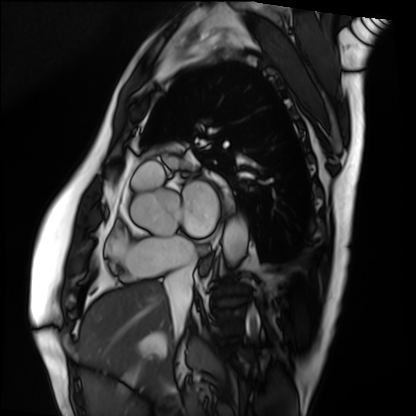
Case:
- modality: cardiac MRI
- subject group: patient